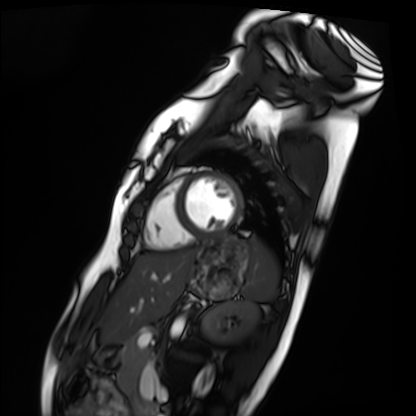
Cardiac MRI. Subject group: healthy volunteer.